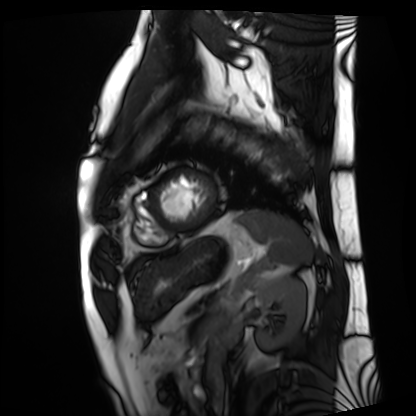
modality: cardiac MRI | subject group: patient.